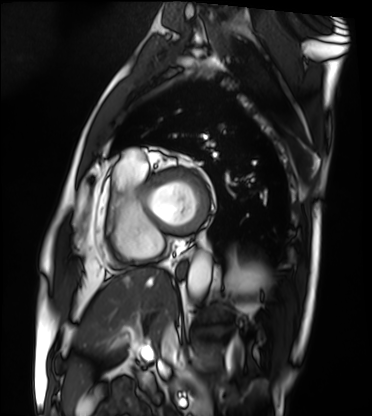
{"modality": "cardiac MRI", "cohort": "patient"}